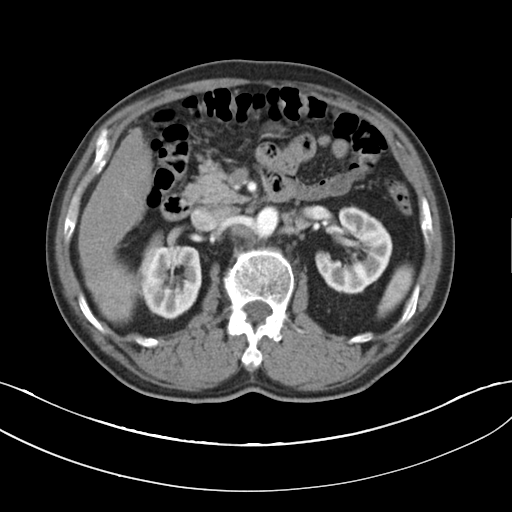
Summary:
Multiphase abdominal CT, liver, arterial phase. Patient: male, age 62. History: cirrhosis, viral hepatitis.